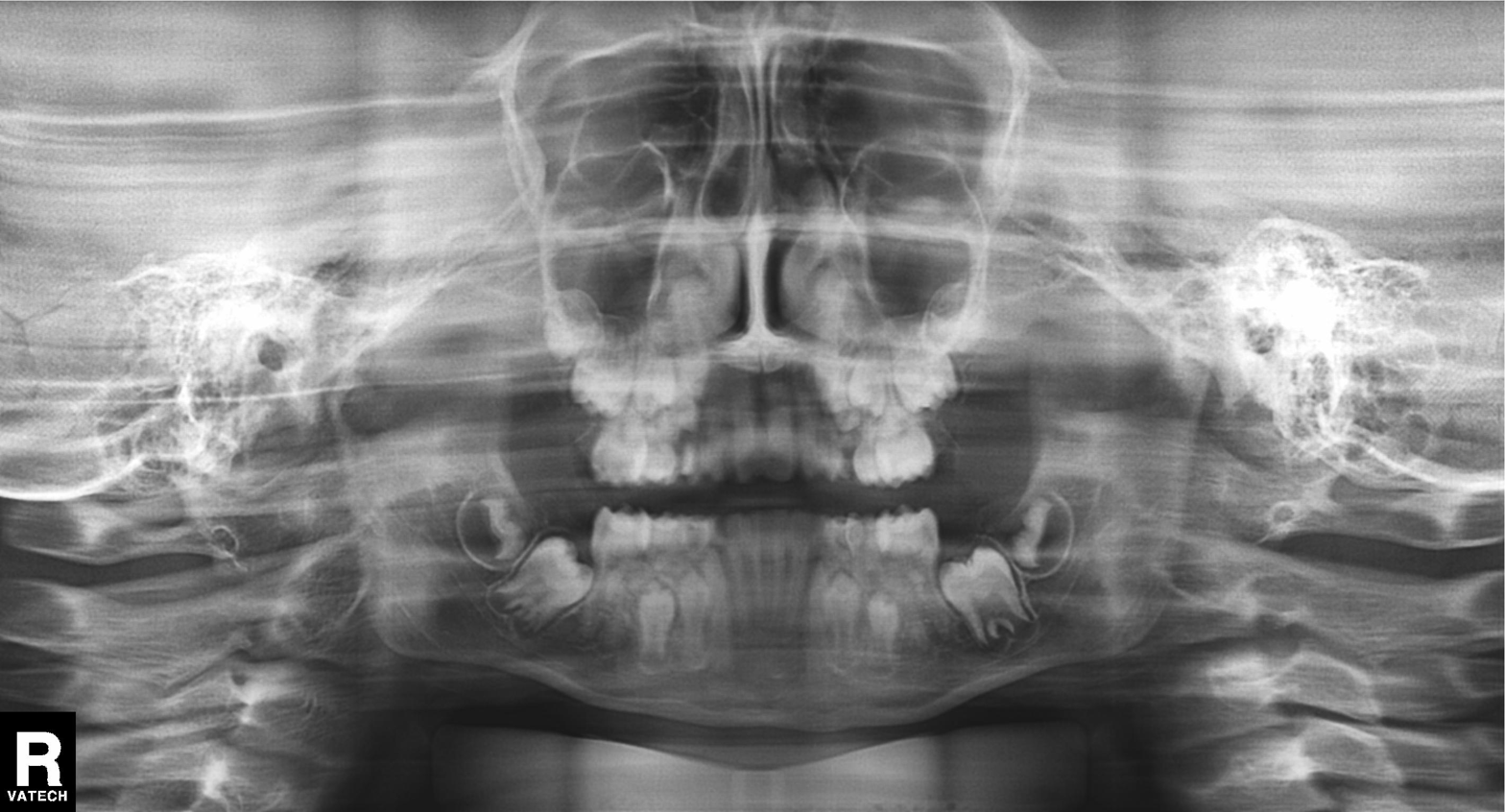
Summary: Panoramic dental radiograph (orthopantomogram).
Diagnosis: Tooth impaction.